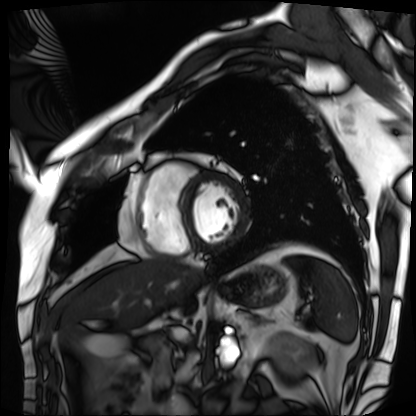
Cardiac MRI.
Subject group: patient.